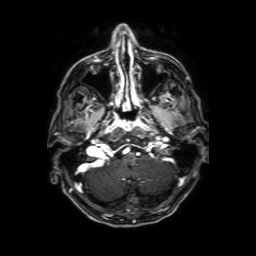
3 Tesla brain MRI. Series: axial T1-weighted fusion image. Study: ring-enhancing brain masses.